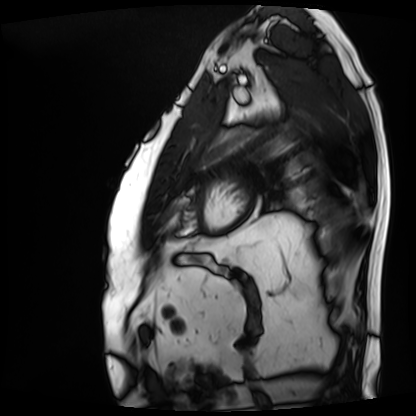
• modality — cardiac MRI
• subject group — patient